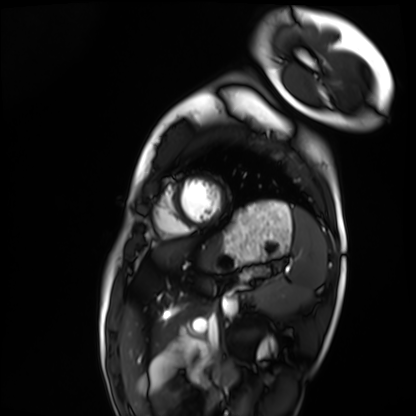
Clinical context: Cardiac MRI. Subject group: healthy volunteer.